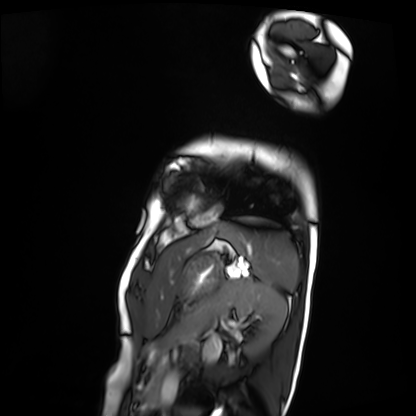
Case summary: Cardiac MRI. Subject group: patient.